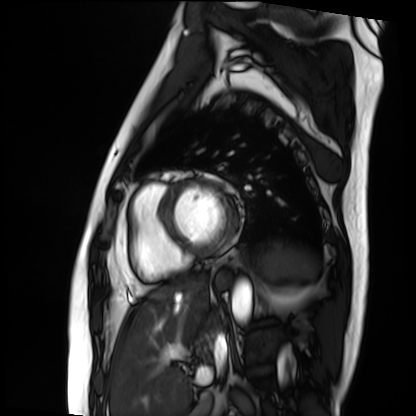
Summary: Cardiac MRI. Subject group: patient.